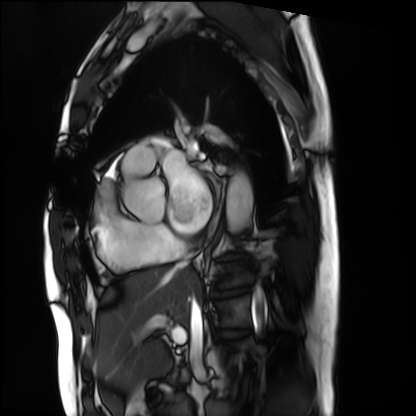
Summary:
Cardiac MRI. Subject group: patient.